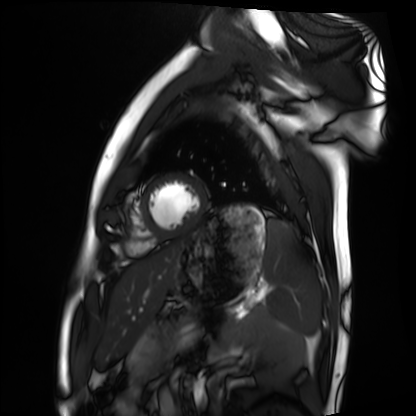
{
  "modality": "cardiac MRI",
  "cohort": "healthy volunteer"
}